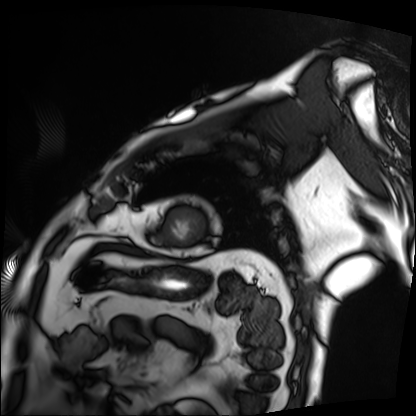
<case>
  <modality>cardiac MRI</modality>
  <cohort>patient</cohort>
</case>